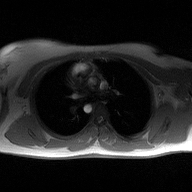
– modality — 2D phase-contrast cine MRI of the ascending aorta